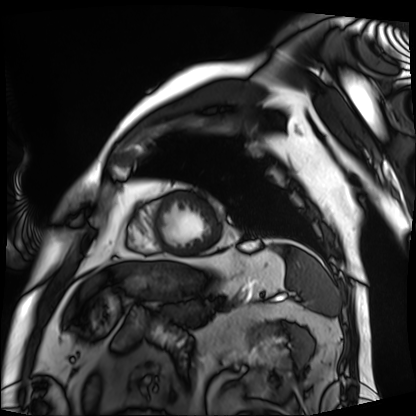
Case summary: Cardiac MRI. Subject group: patient.